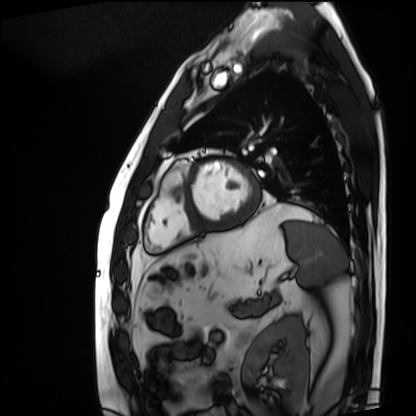
modality = cardiac MRI; subject group = patient.